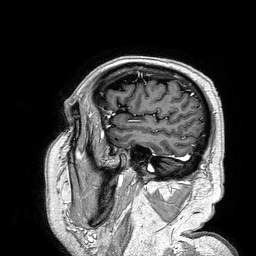
modality = 3 Tesla brain MRI
series = 3D T1-weighted turbo field echo
study = ring-enhancing brain masses